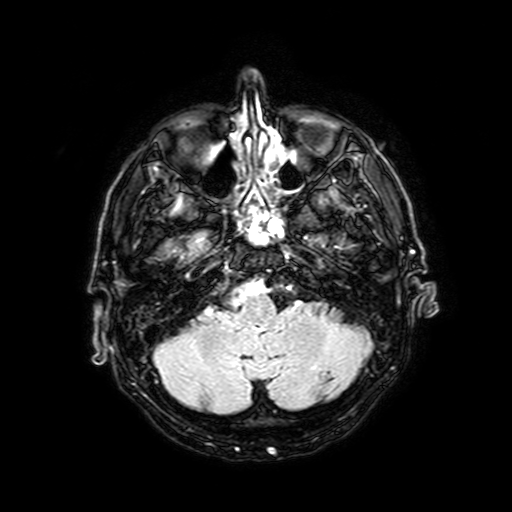
Summary:
3 Tesla brain MRI. Series: FLAIR with SPAIR, 3 mm. Study: ring-enhancing brain masses.